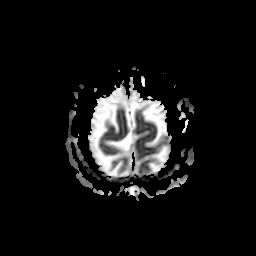
<scan>
<modality>
  <type>brain MRI</type>
  <field_strength>3T</field_strength>
</modality>
<series>apparent diffusion coefficient (ADC) map</series>
<study_topic>ring-enhancing brain masses</study_topic>
</scan>